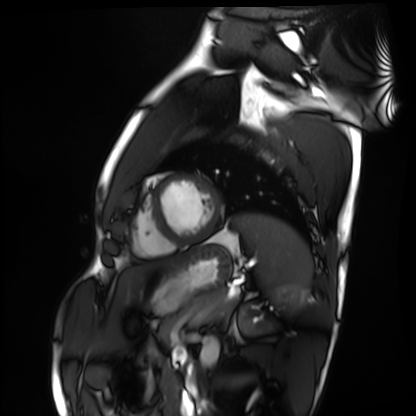
Case:
• modality — cardiac MRI
• subject group — healthy volunteer